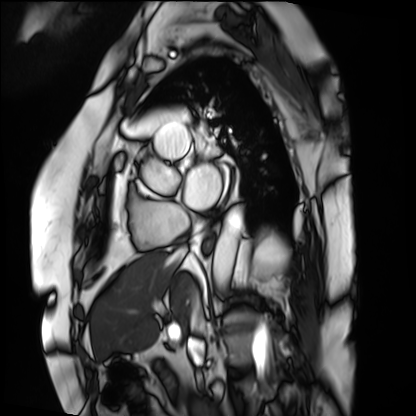
  modality: cardiac MRI
  cohort: patient